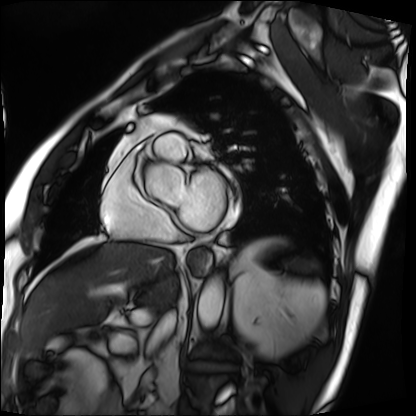
{"modality": "cardiac MRI", "cohort": "patient"}